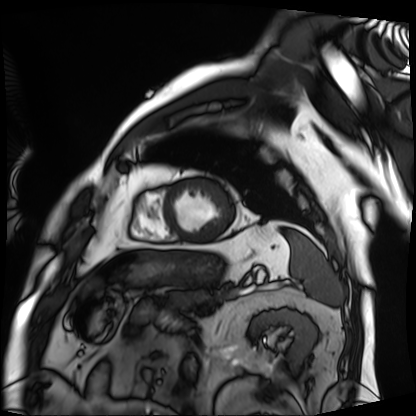
Case:
- modality — cardiac MRI
- subject group — patient